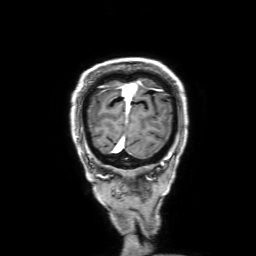
Summary:
3 Tesla brain MRI. Series: 3D T1-weighted with SENSE. Study: ring-enhancing brain masses.